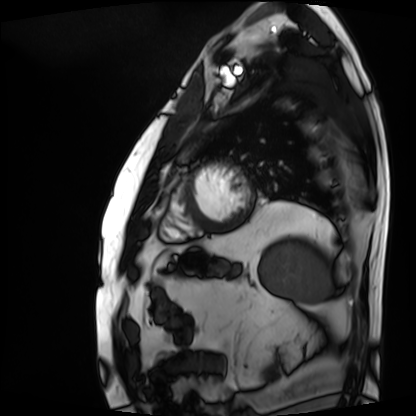
<study>
<modality>cardiac MRI</modality>
<cohort>patient</cohort>
</study>